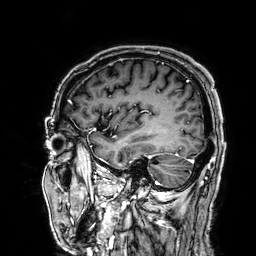
- modality: 3 Tesla brain MRI
- series: 3D T1-weighted
- study: ring-enhancing brain masses